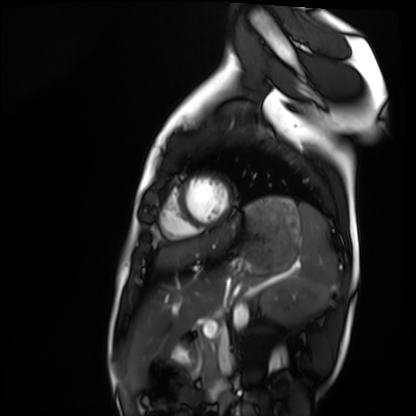
<record>
  <modality>cardiac MRI</modality>
  <cohort>healthy volunteer</cohort>
</record>